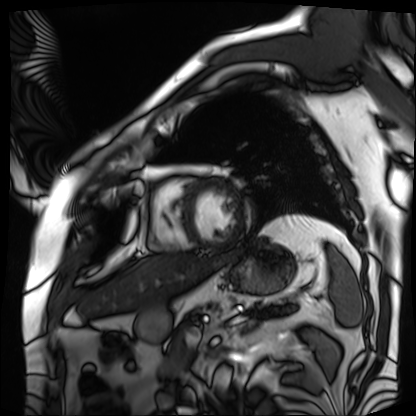
Case:
* modality — cardiac MRI
* subject group — patient